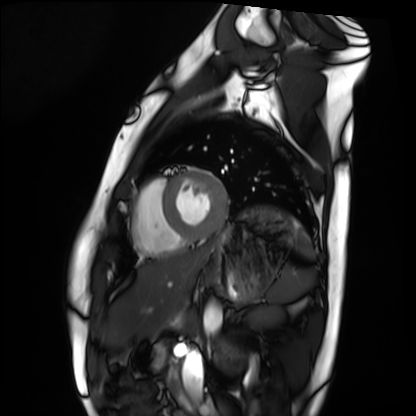
Case:
• modality: cardiac MRI
• subject group: healthy volunteer